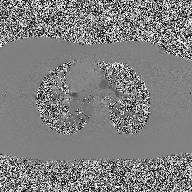
Clinical context: 2D phase-contrast cine MRI of the ascending aorta, high-resolution GRAPPA acquisition.